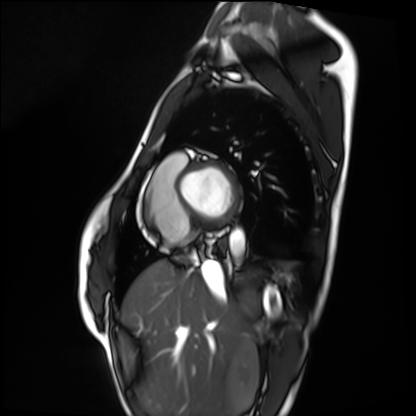
Cardiac MRI.
Subject group: healthy volunteer.